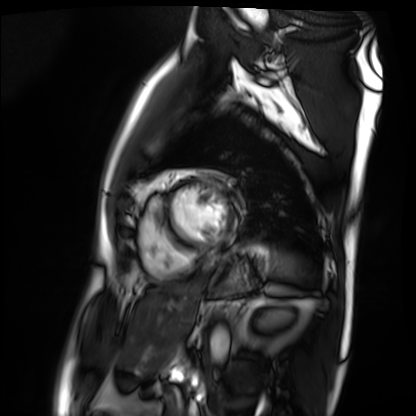
| field | value |
|---|---|
| modality | cardiac MRI |
| subject group | patient |